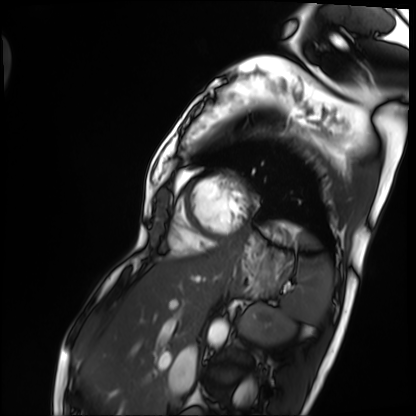
Case:
* modality: cardiac MRI
* subject group: patient